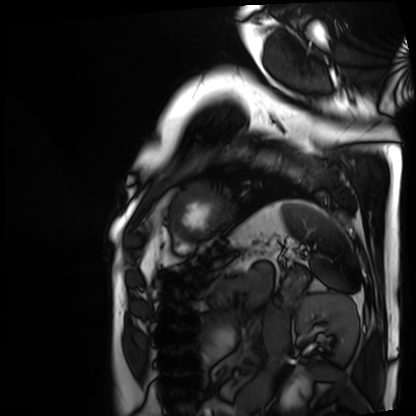
Summary:
Cardiac MRI. Subject group: patient.